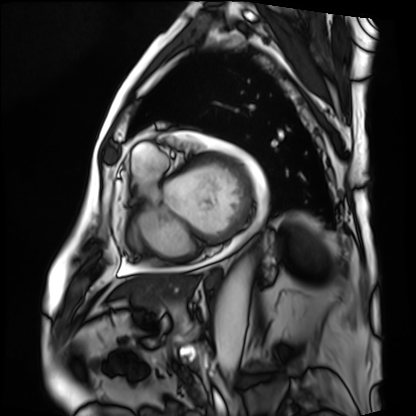
Q: What kind of scan is this?
A: Cardiac MRI.
Subject group: patient.